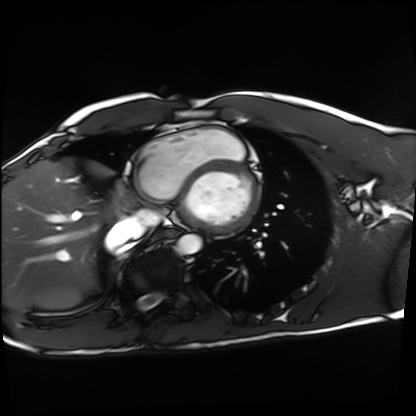
modality: cardiac MRI
subject group: healthy volunteer